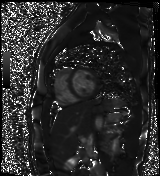
Q: What kind of scan is this?
A: Cardiac MR image of the myocardium.
Subject cohort: healthy volunteer.